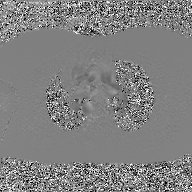
- modality: 2D phase-contrast cine MRI of the ascending aorta, GAN super-resolution reconstruction